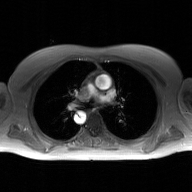
Case:
• modality · 2D phase-contrast cine MRI of the ascending aorta, GAN super-resolution reconstruction